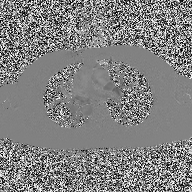
– modality: 2D phase-contrast cine MRI of the ascending aorta